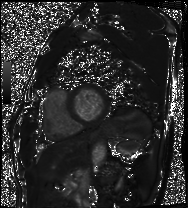
Summary: Cardiac MRI. Subject group: patient.